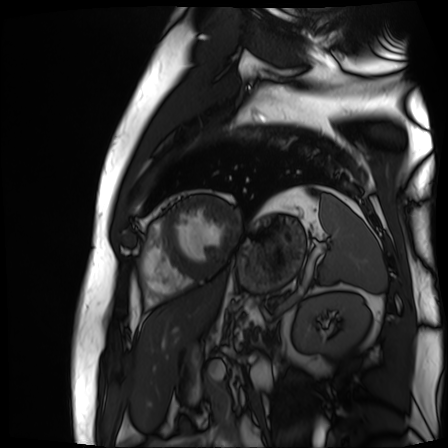
Clinical context:
Cardiac MR image of the myocardium. Subject cohort: cardiac patient.